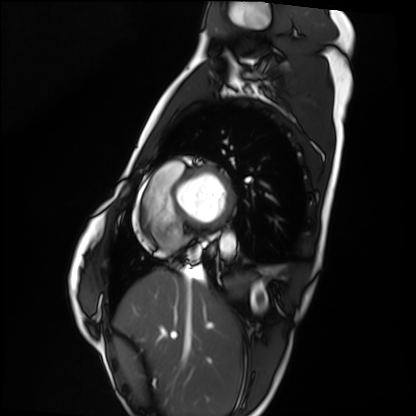
Case summary:
Cardiac MRI. Subject group: healthy volunteer.